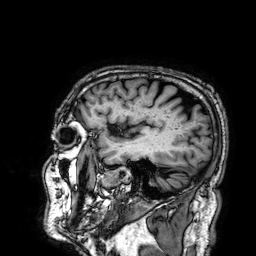
Summary:
3 Tesla brain MRI. Series: 3D T1-weighted. Study: ring-enhancing brain masses.